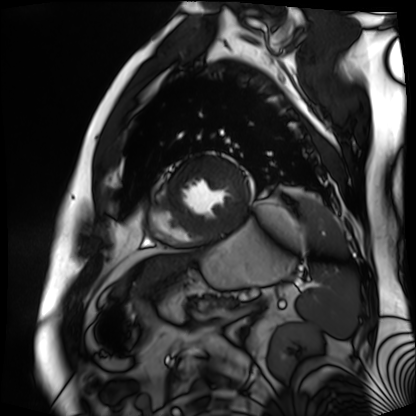
Cardiac MR image of the myocardium. Subject cohort: cardiac patient.